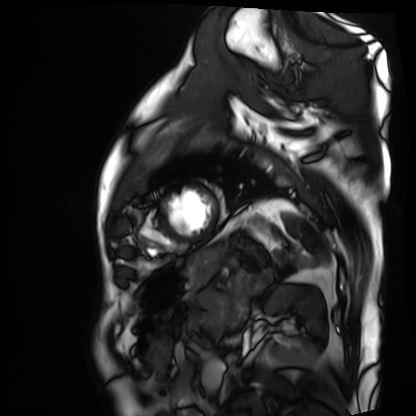
modality = cardiac MRI, subject group = patient.